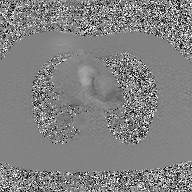
- modality · 2D phase-contrast cine MRI of the ascending aorta, GAN super-resolution reconstruction